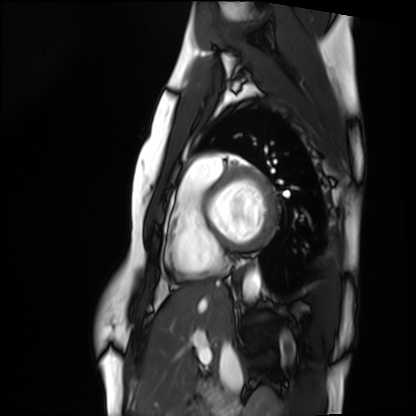
| field | value |
|---|---|
| modality | cardiac MRI |
| subject group | healthy volunteer |